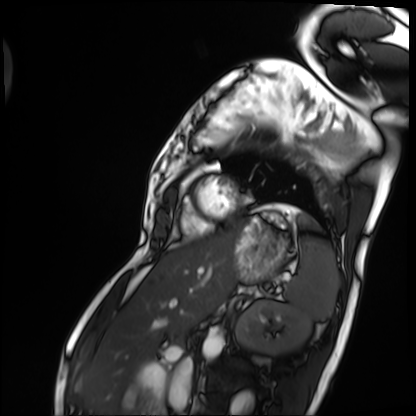
Case:
– modality · cardiac MRI
– subject group · patient